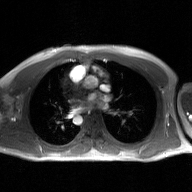
modality = 2D phase-contrast cine MRI of the ascending aorta, GAN super-resolution reconstruction.